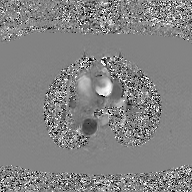
2D phase-contrast cine MRI of the ascending aorta, GAN super-resolution reconstruction.